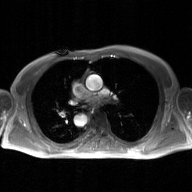
Case summary: 2D phase-contrast cine MRI of the ascending aorta, GAN super-resolution reconstruction.